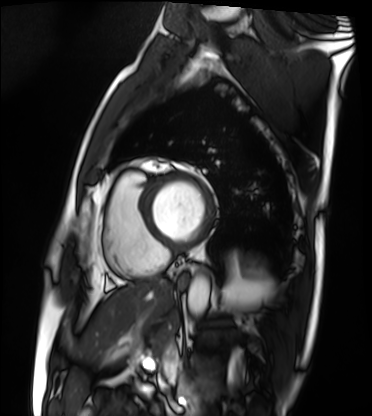
Summary: Cardiac MRI. Subject group: patient.